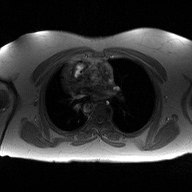
2D phase-contrast cine MRI of the ascending aorta, high-resolution GRAPPA acquisition.